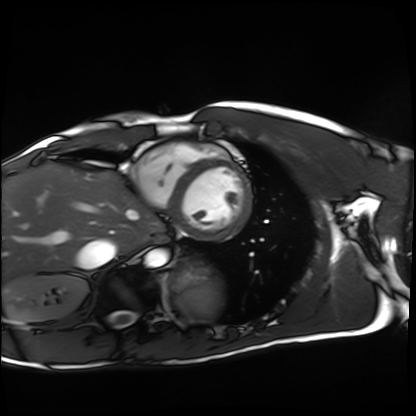
Cardiac MRI. Subject group: healthy volunteer.